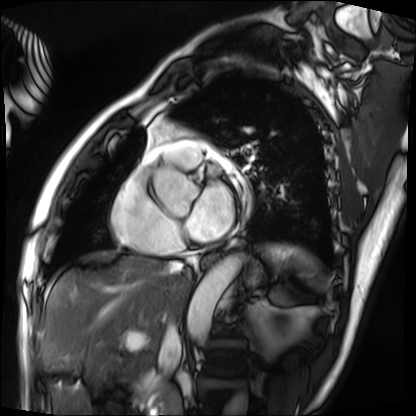
modality: cardiac MRI | subject group: patient.